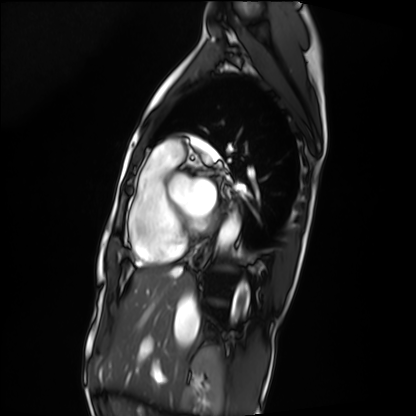
modality = cardiac MRI; subject group = patient.